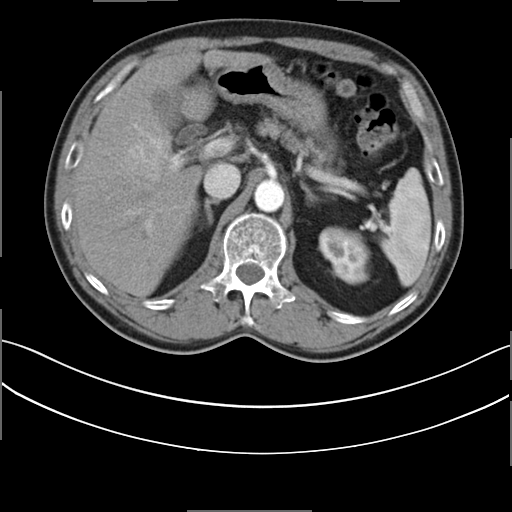
• modality: multiphase abdominal CT, liver, arterial phase
• patient: male, age 59